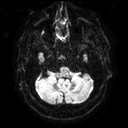
<scan>
  <modality>
    <type>brain MRI</type>
    <field_strength>3T</field_strength>
  </modality>
  <series>diffusion tensor imaging (medium iso)</series>
  <study_topic>ring-enhancing brain masses</study_topic>
</scan>